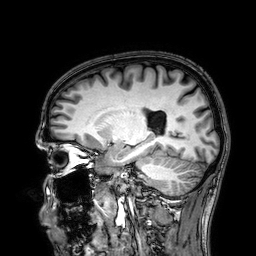
Case summary: 3 Tesla brain MRI. Study: ring-enhancing brain masses.